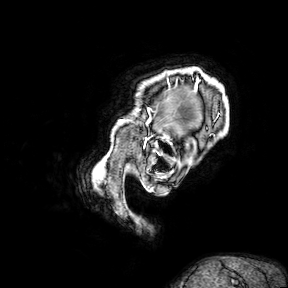
  modality:
    type: brain MRI
    field_strength: 3T
  study_topic: ring-enhancing brain masses